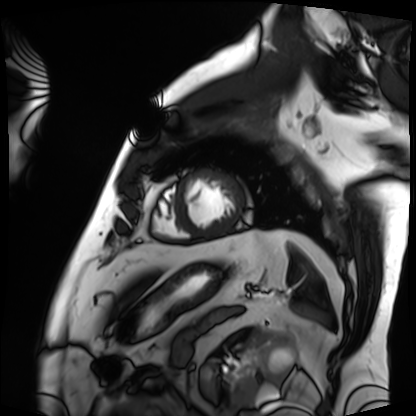
Q: What kind of scan is this?
A: Cardiac MRI.
Subject group: patient.